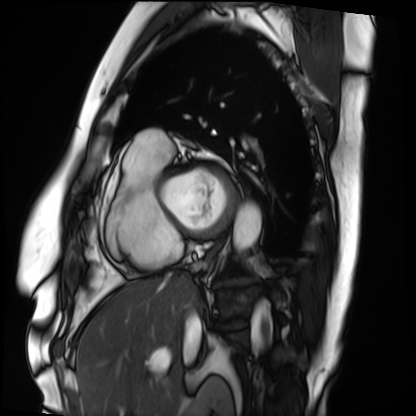
– modality: cardiac MRI
– subject group: patient